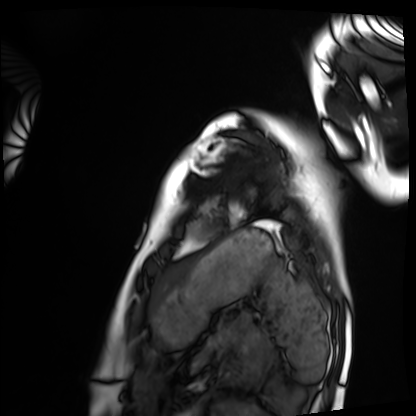
<scan>
<modality>cardiac MRI</modality>
<cohort>healthy volunteer</cohort>
</scan>